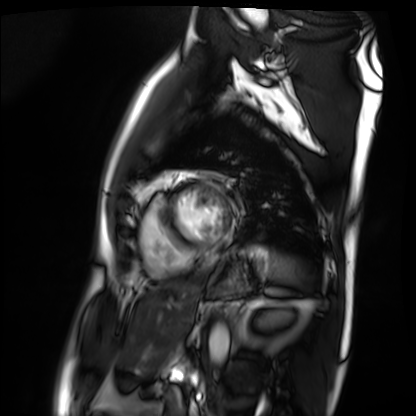
Cardiac MRI. Subject group: patient.